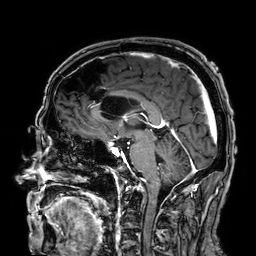
modality — 3 Tesla brain MRI
series — 3D T1-weighted
study — ring-enhancing brain masses